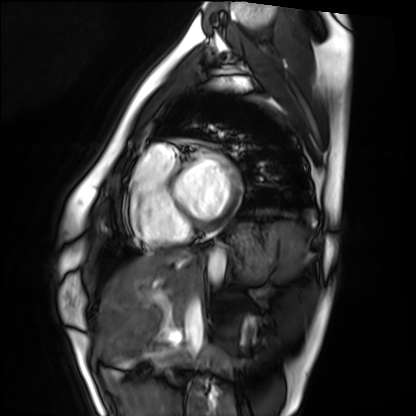
Q: What kind of scan is this?
A: Cardiac MRI.
Subject group: healthy volunteer.